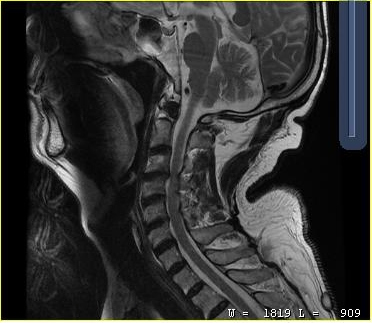
MRI of the cervical spine. Study: cervical spondylosis.